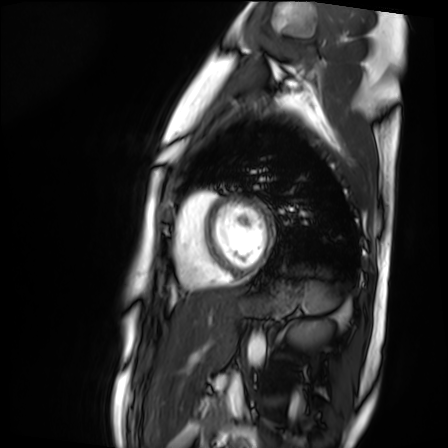
Cardiac MR image of the myocardium.
Subject cohort: healthy volunteer.